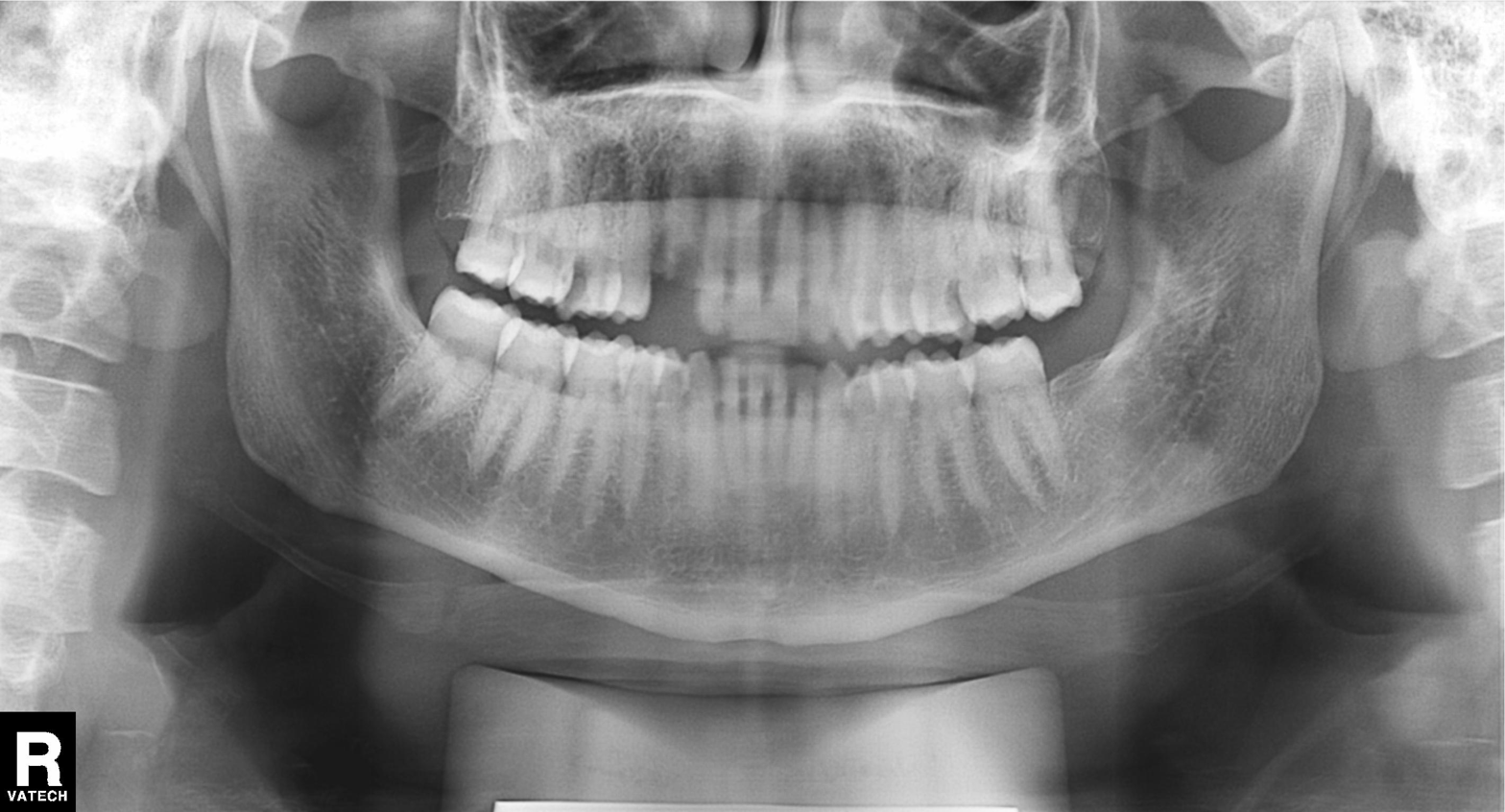
Panoramic dental radiograph (orthopantomogram). Finding: dental caries (cavities).